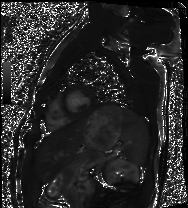
  modality: cardiac MRI
  cohort: healthy volunteer